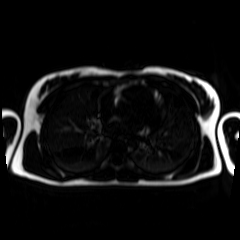
Summary:
Chemical-shift-encoded cardiac MRI.